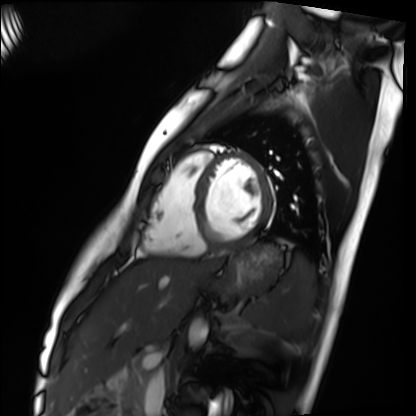
Summary: Cardiac MRI. Subject group: healthy volunteer.